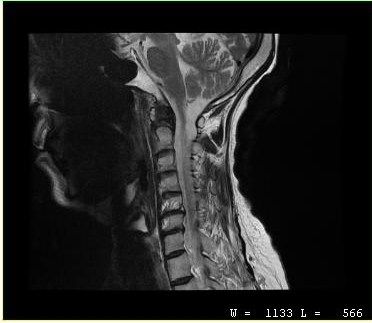
  modality:
    type: cervical spine MRI
  study_topic: cervical spondylosis